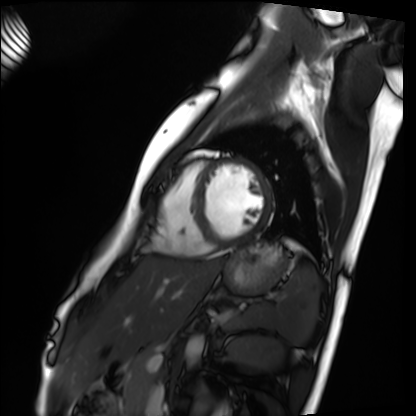
Q: What kind of scan is this?
A: Cardiac MRI.
Subject group: healthy volunteer.